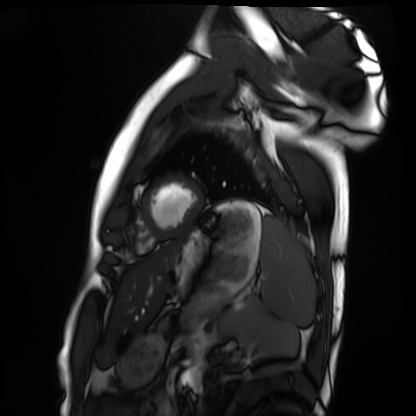
– modality · cardiac MRI
– subject group · healthy volunteer